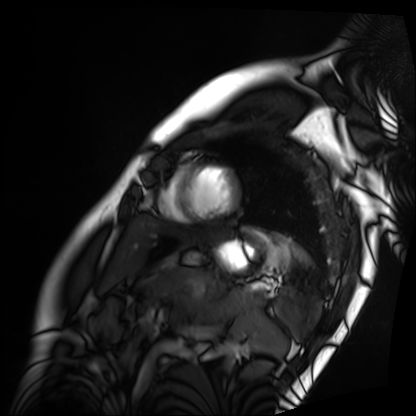
Cardiac MRI.
Subject group: patient.